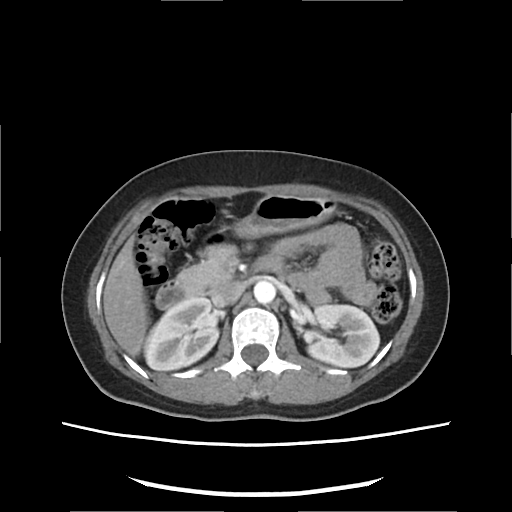
modality = multiphase abdominal CT, liver, arterial phase | patient = female, age 42.